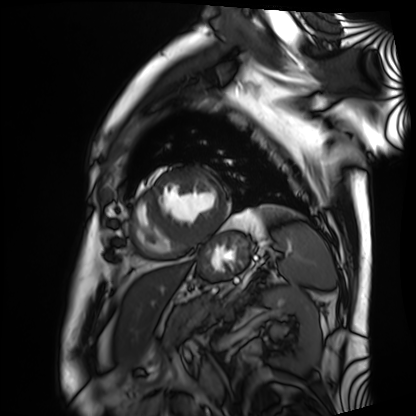
• modality: cardiac MRI
• subject group: patient